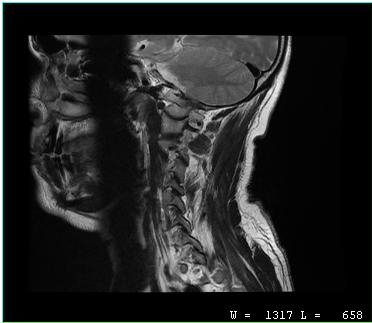
modality: MRI of the cervical spine | study: cervical spondylosis.